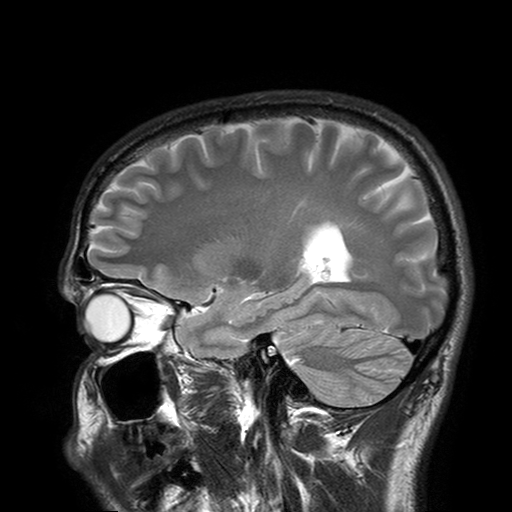
3 Tesla brain MRI. Study: ring-enhancing brain masses.